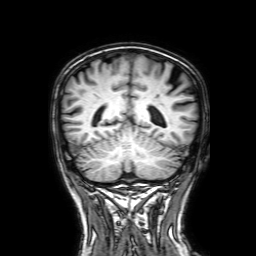
modality = 3 Tesla brain MRI; series = 3D T1-weighted with SENSE; study = ring-enhancing brain masses.